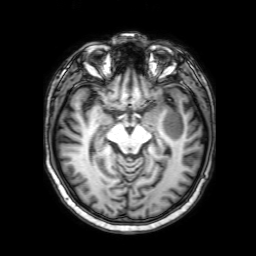
3 Tesla brain MRI.
Series: 3D T1-weighted with SENSE.
Study: ring-enhancing brain masses.